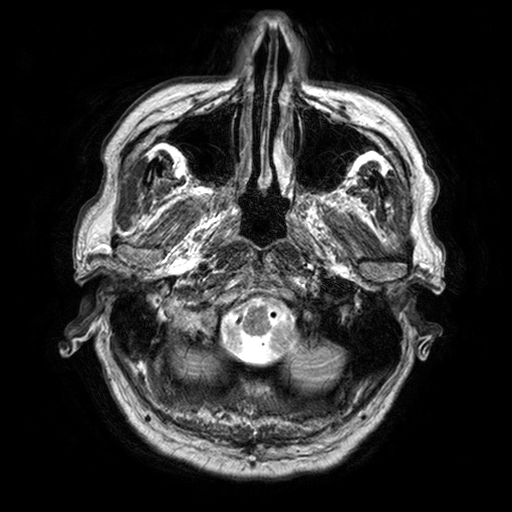
Clinical context: 3 Tesla brain MRI. Series: T2-weighted turbo spin echo with SENSE. Study: ring-enhancing brain masses.